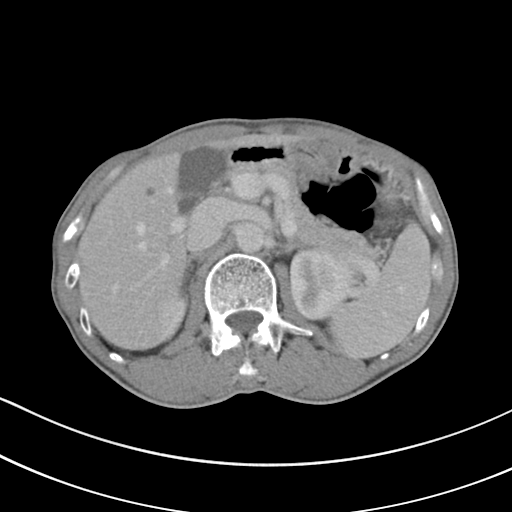
Multiphase abdominal CT, liver, portal venous phase.
Patient: male, age 62.
History: cirrhosis, viral hepatitis.